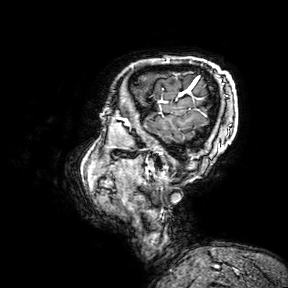
Case:
– modality · 3 Tesla brain MRI
– series · 3D T1-weighted turbo field echo with SENSE
– study · ring-enhancing brain masses